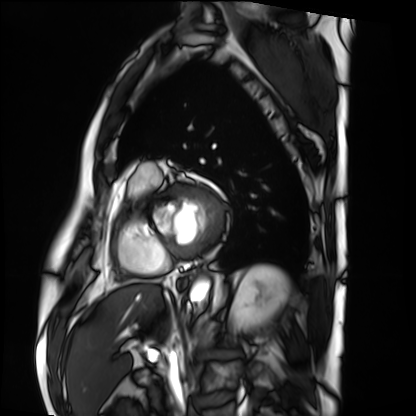
- modality: cardiac MRI
- subject group: patient